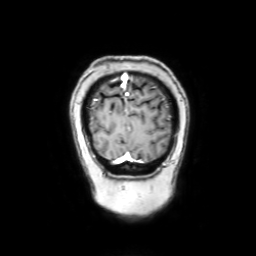
3 Tesla brain MRI. Series: coronal with contrast. Study: ring-enhancing brain masses.